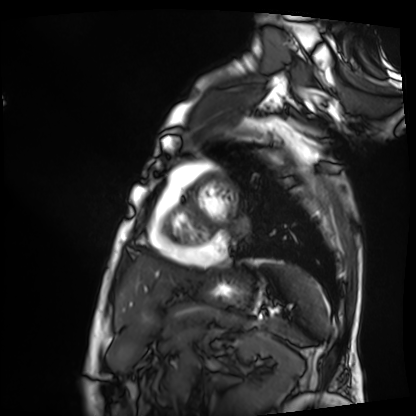
Summary:
Cardiac MRI. Subject group: patient.